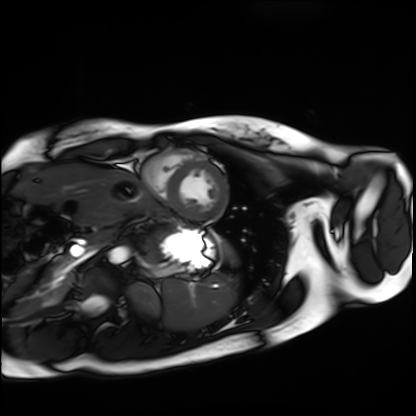
Q: What kind of scan is this?
A: Cardiac MRI.
Subject group: healthy volunteer.